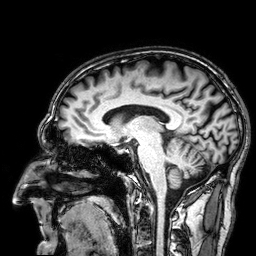
Case summary:
3 Tesla brain MRI. Study: ring-enhancing brain masses.